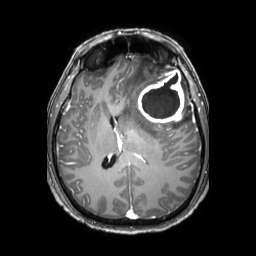
| field | value |
|---|---|
| modality | 3 Tesla brain MRI |
| series | 3D T1-weighted TFE with SENSE |
| study | ring-enhancing brain masses |